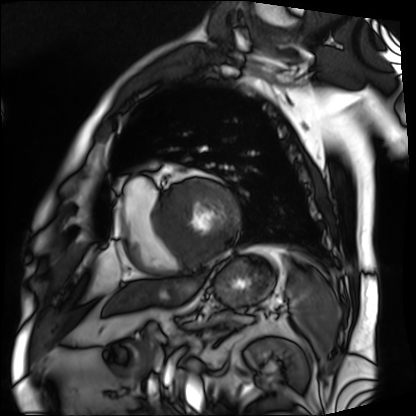
Case:
• modality: cardiac MRI
• subject group: patient